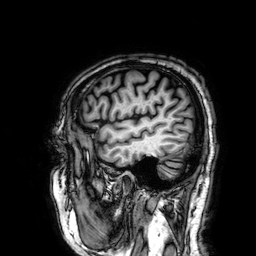
| field | value |
|---|---|
| modality | 3 Tesla brain MRI |
| series | 3D T1-weighted |
| study | ring-enhancing brain masses |